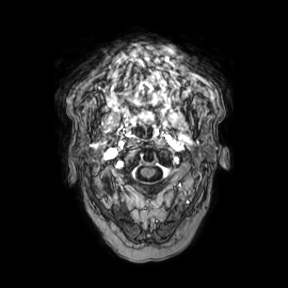
{"modality": {"type": "brain MRI", "field_strength": "3T"}, "series": "axial", "study_topic": "ring-enhancing brain masses"}